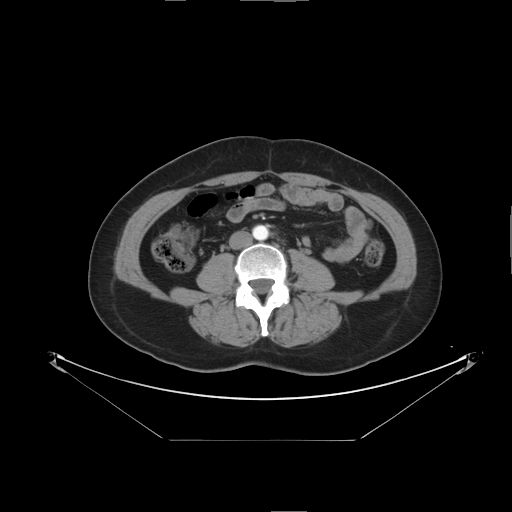
* modality: multiphase abdominal CT, liver, arterial phase
* patient: female, age 56